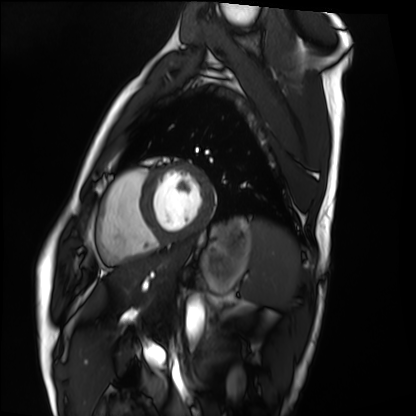
Q: What kind of scan is this?
A: Cardiac MRI.
Subject group: healthy volunteer.